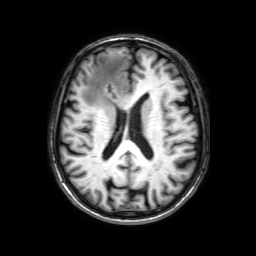
Case:
• modality: 3 Tesla brain MRI
• series: 3D T1-weighted with SENSE
• study: ring-enhancing brain masses